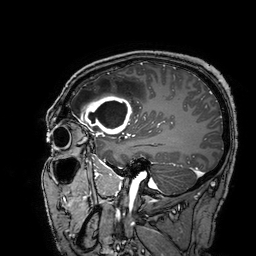
Summary: 3 Tesla brain MRI. Series: 3D T1-weighted turbo field echo with SENSE. Study: ring-enhancing brain masses.